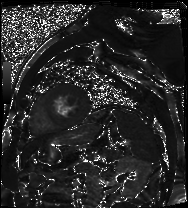
modality — cardiac MR image of the myocardium | subject cohort — cardiac patient.